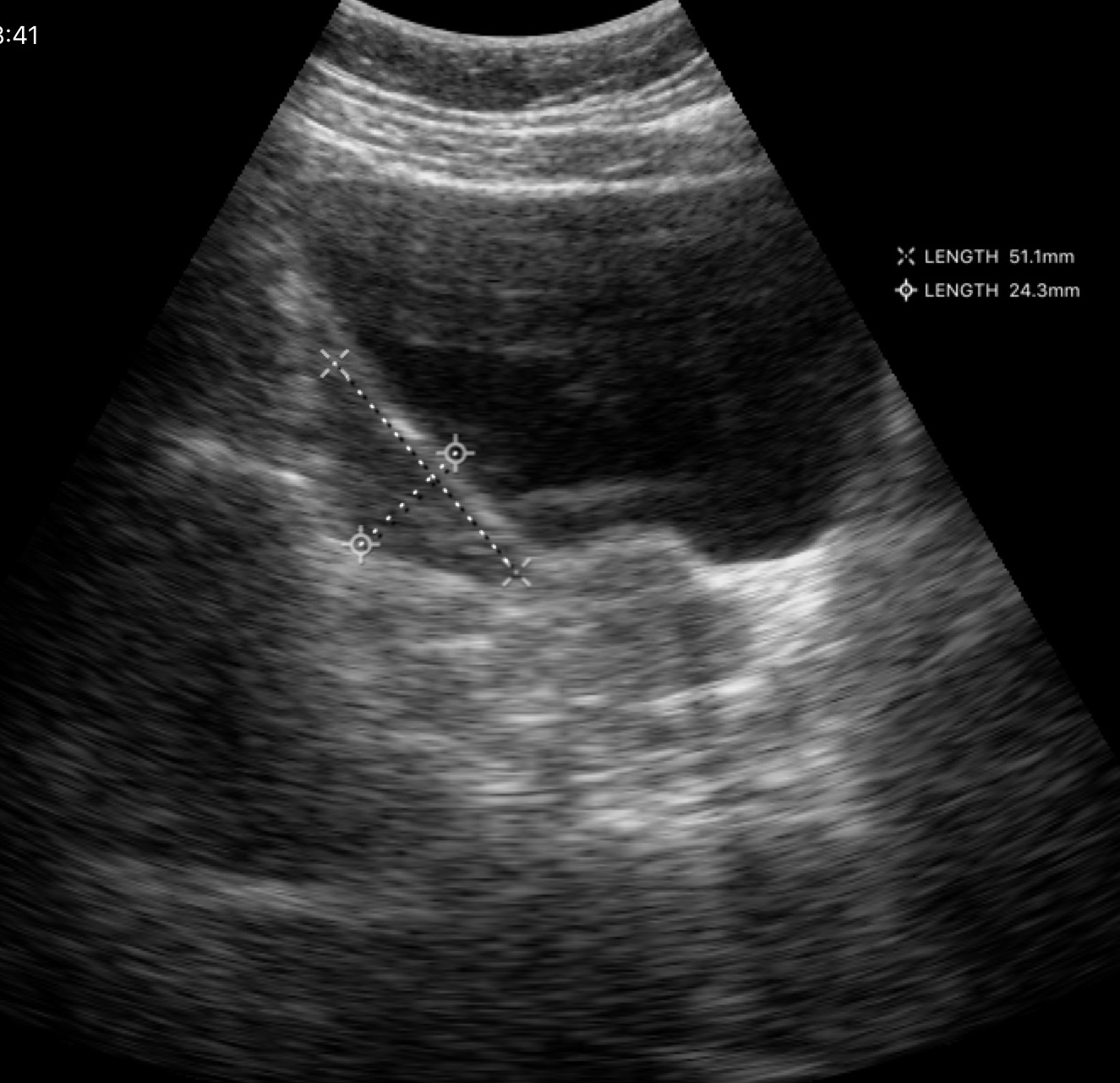
{"modality": {"type": "genitourinary ultrasound"}}